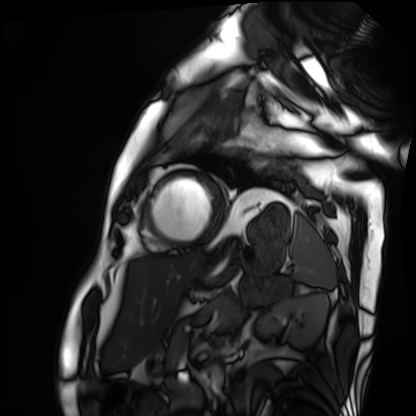
Cardiac MRI. Subject group: patient.